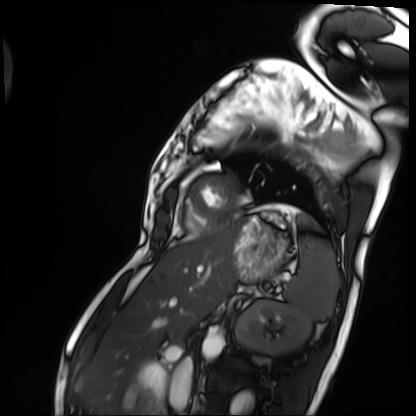
Cardiac MRI. Subject group: patient.